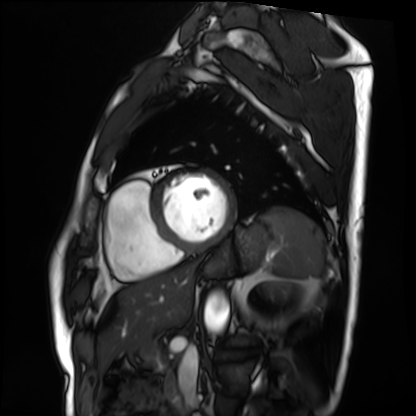
modality = cardiac MRI
subject group = patient